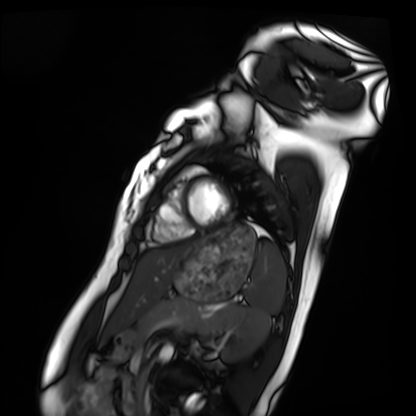
{"modality": "cardiac MRI", "cohort": "healthy volunteer"}